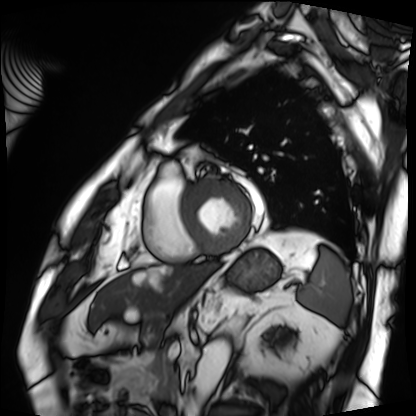
Cardiac MRI. Subject group: patient.